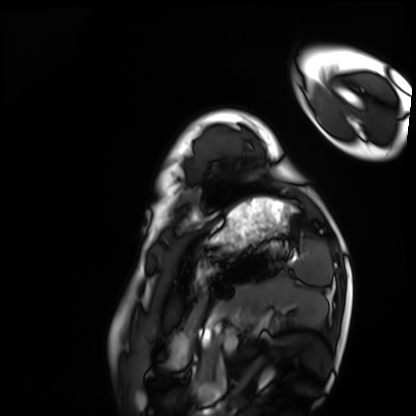
* modality: cardiac MRI
* subject group: healthy volunteer